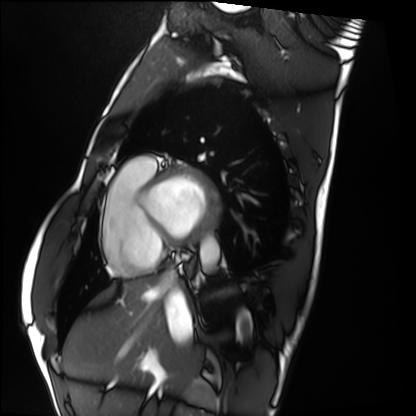
  modality: cardiac MRI
  cohort: healthy volunteer